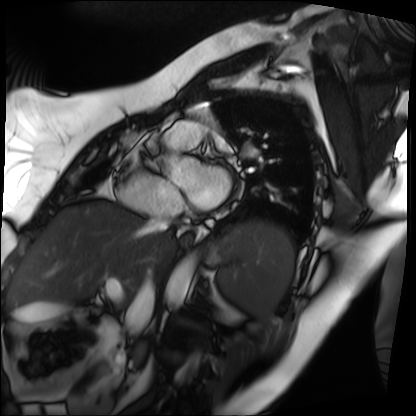
Case:
– modality · cardiac MRI
– subject group · patient